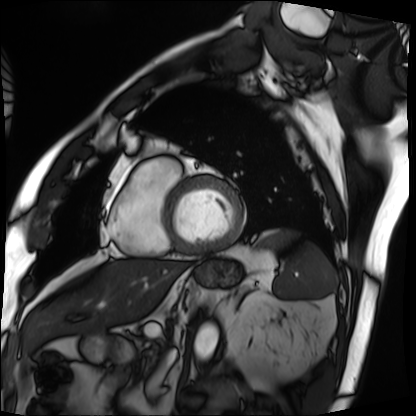
Cardiac MRI. Subject group: patient.